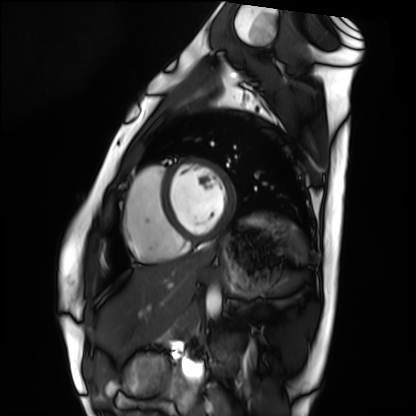
modality — cardiac MRI; subject group — healthy volunteer.